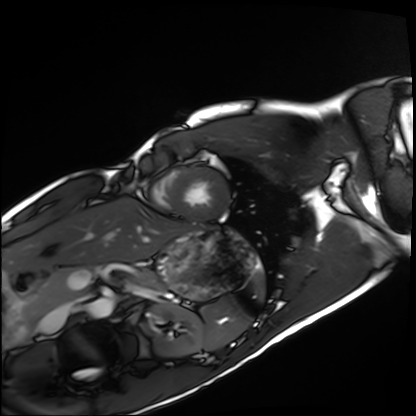
Cardiac MRI.
Subject group: healthy volunteer.